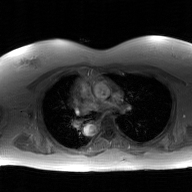
| field | value |
|---|---|
| modality | 2D phase-contrast cine MRI of the ascending aorta, GAN super-resolution reconstruction |